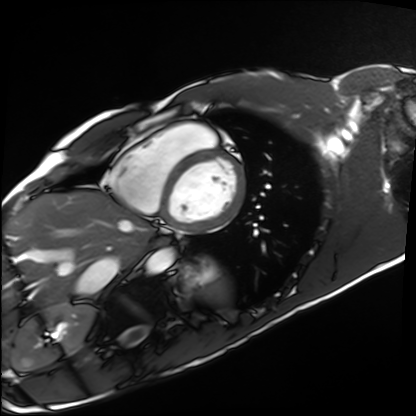
<scan>
  <modality>cardiac MRI</modality>
  <cohort>healthy volunteer</cohort>
</scan>